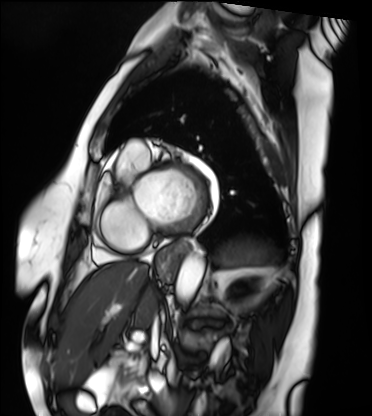
Cardiac MRI. Subject group: patient.